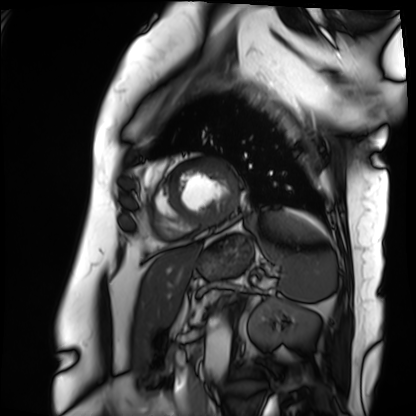
Case:
• modality · cardiac MRI
• subject group · patient